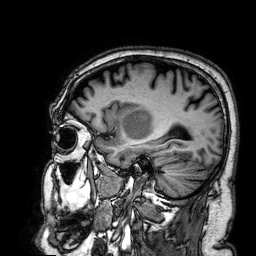
3 Tesla brain MRI.
Series: 3D T1-weighted.
Study: ring-enhancing brain masses.